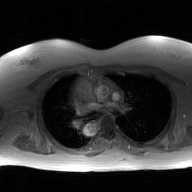
Case summary: 2D phase-contrast cine MRI of the ascending aorta, GAN super-resolution reconstruction.